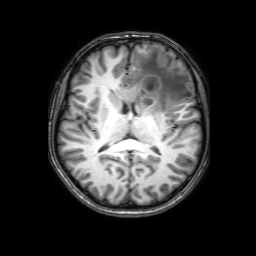
Summary:
3 Tesla brain MRI. Series: 3D T1-weighted with SENSE. Study: ring-enhancing brain masses.